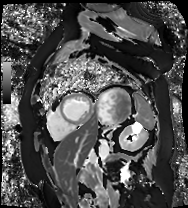
{
  "modality": "cardiac MR image of the myocardium",
  "cohort": "cardiac patient"
}